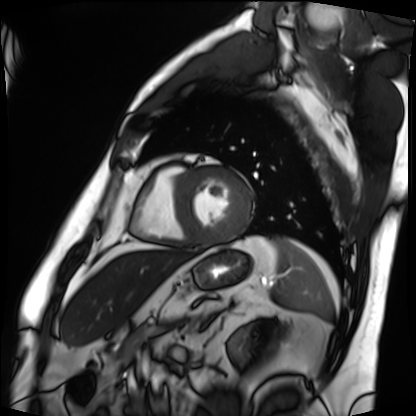
Q: What kind of scan is this?
A: Cardiac MRI.
Subject group: patient.